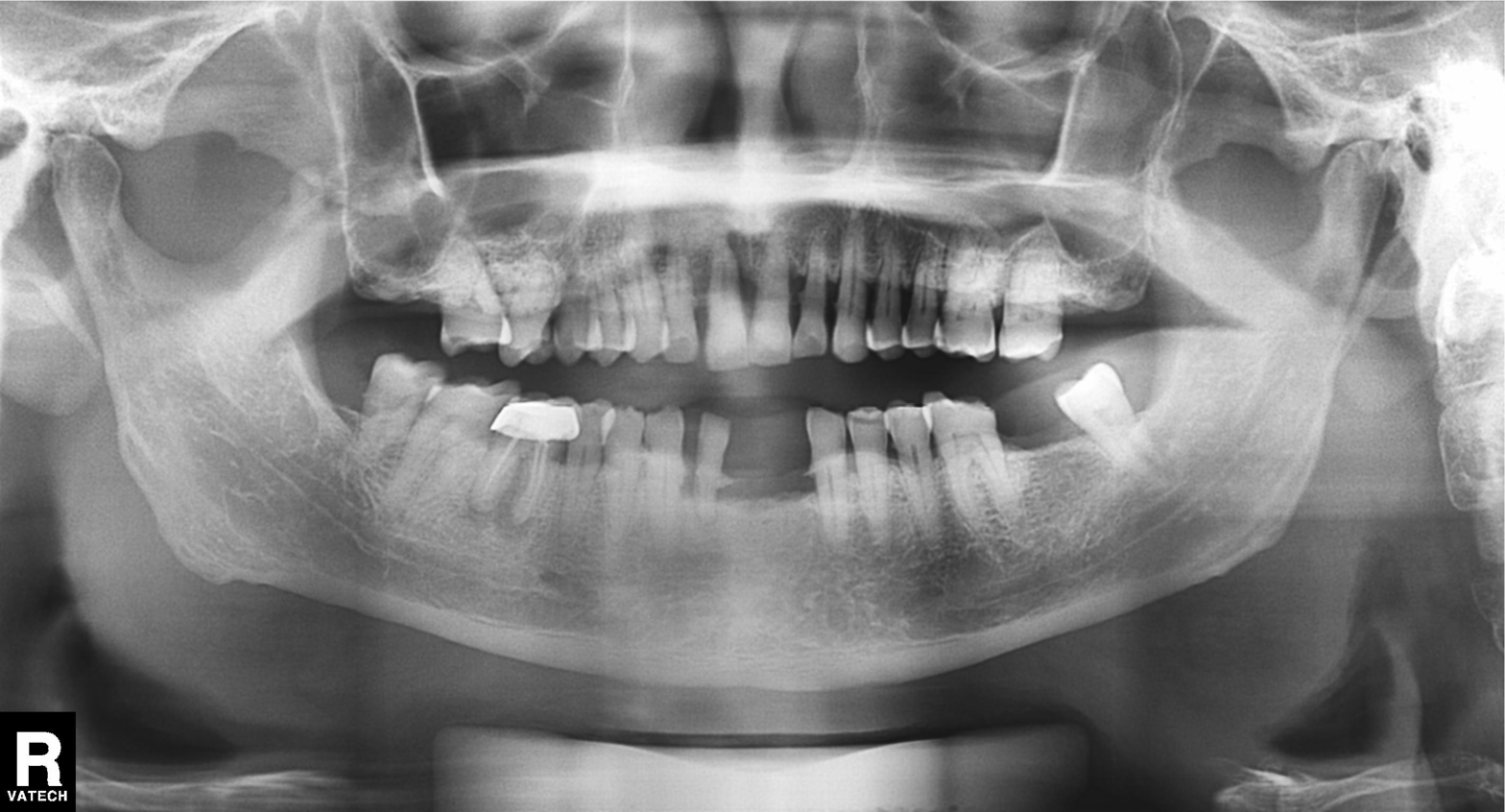
Panoramic dental radiograph (orthopantomogram). Finding: dental caries (cavities).